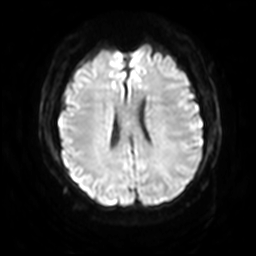
– modality — 3 Tesla brain MRI
– series — diffusion-weighted imaging with SENSE (WIP)
– study — ring-enhancing brain masses